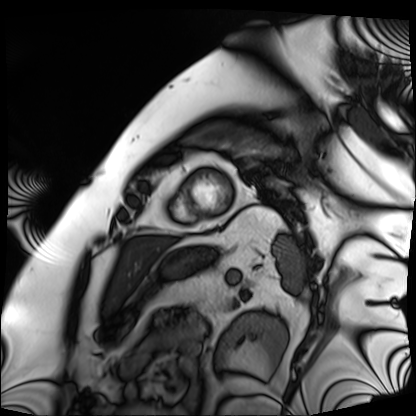
* modality · cardiac MRI
* subject group · patient